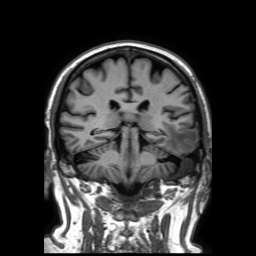
3 Tesla brain MRI.
Series: 3D T1-weighted TFE with SENSE.
Study: ring-enhancing brain masses.